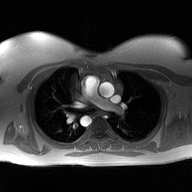
Clinical context: 2D phase-contrast cine MRI of the ascending aorta, high-resolution GRAPPA acquisition.